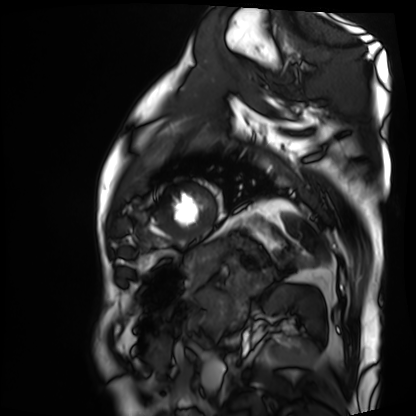
Summary: Cardiac MRI. Subject group: patient.